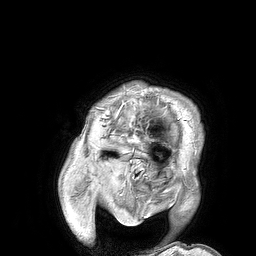
3 Tesla brain MRI.
Series: 3D T1-weighted turbo field echo.
Study: ring-enhancing brain masses.